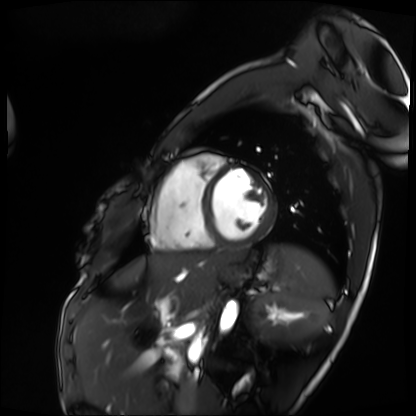
- modality · cardiac MRI
- subject group · patient